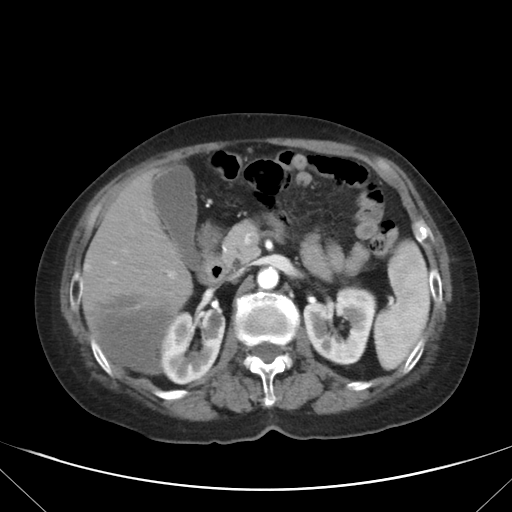
Q: What kind of scan is this?
A: Multiphase abdominal CT, liver, arterial phase.
Q: Patient?
A: Female, age 76.